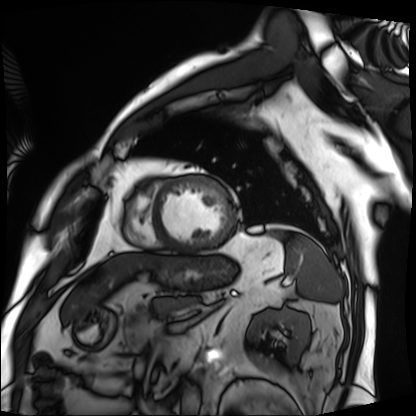
Cardiac MRI. Subject group: patient.